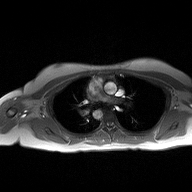
Q: What kind of scan is this?
A: 2D phase-contrast cine MRI of the ascending aorta.